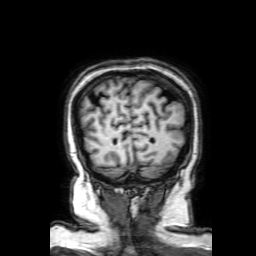
3 Tesla brain MRI.
Series: 3D T1-weighted with SENSE.
Study: ring-enhancing brain masses.